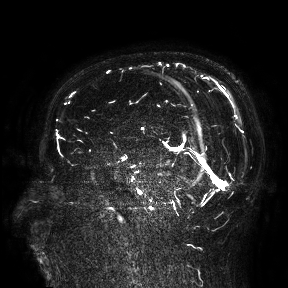
3 Tesla brain MRI. Study: ring-enhancing brain masses.